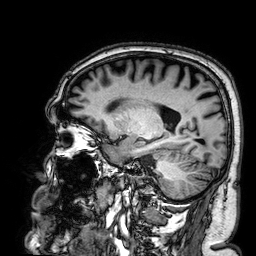
  modality:
    type: brain MRI
    field_strength: 3T
  series: 3D T1-weighted
  study_topic: ring-enhancing brain masses